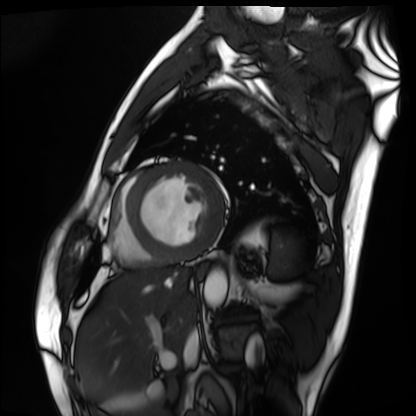
modality = cardiac MRI; subject group = patient.